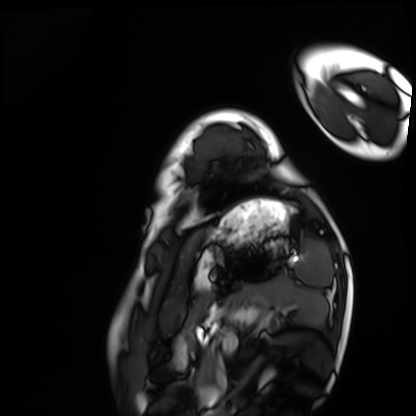
Case summary:
Cardiac MRI. Subject group: healthy volunteer.